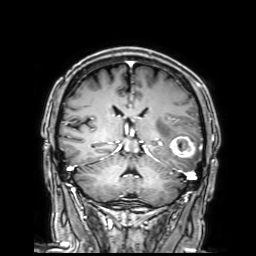
modality=3 Tesla brain MRI
series=3D T1-weighted with SENSE
study=ring-enhancing brain masses